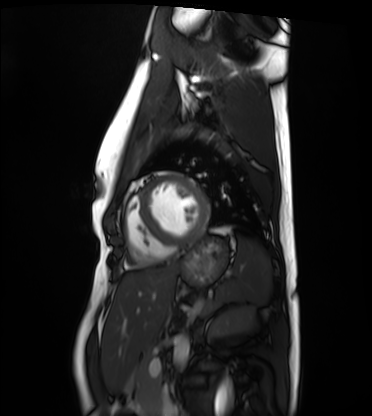
Cardiac MRI.
Subject group: healthy volunteer.